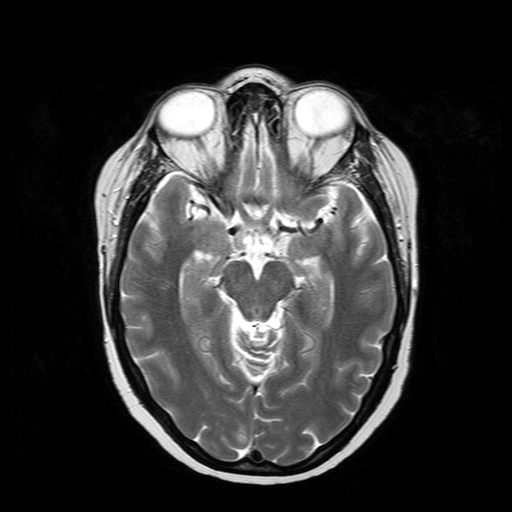
3 Tesla brain MRI. Series: T2-weighted turbo spin echo. Study: ring-enhancing brain masses.